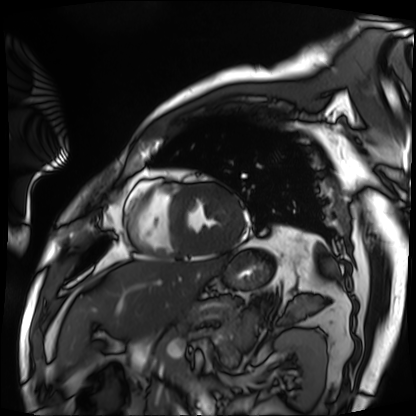
* modality — cardiac MRI
* subject group — patient